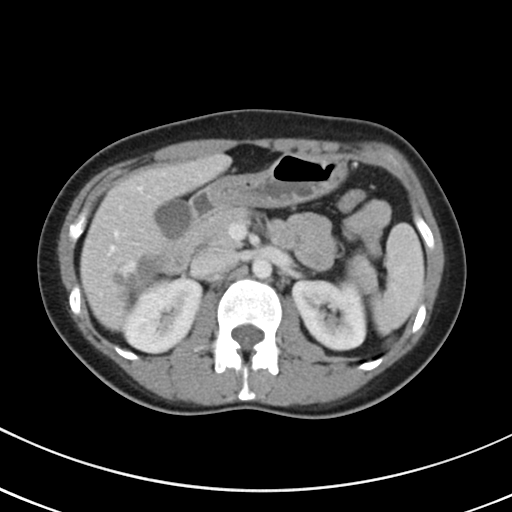
Multiphase abdominal CT, liver, portal venous phase. Patient: female, age 44.